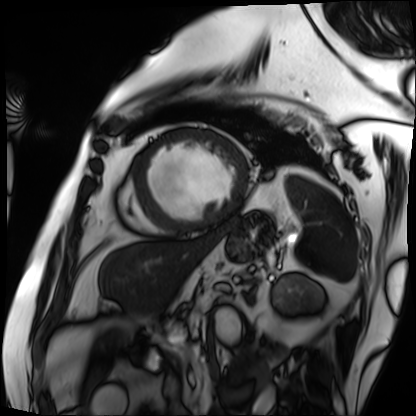
Cardiac MRI.
Subject group: patient.